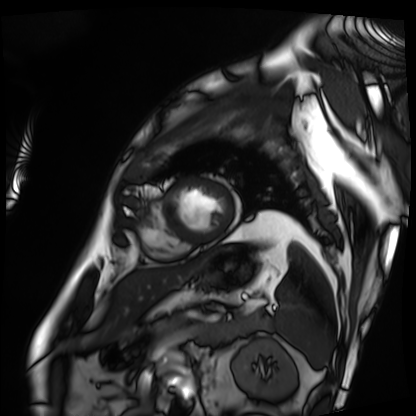
{
  "modality": "cardiac MRI",
  "cohort": "patient"
}